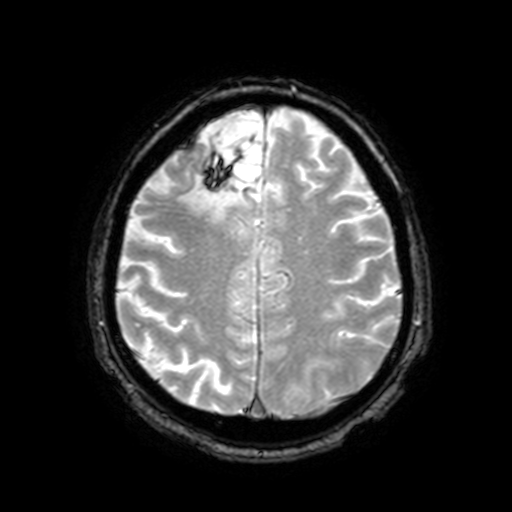
Q: What kind of scan is this?
A: 3 Tesla brain MRI.
Q: Series?
A: T2-weighted fast field echo with SENSE.
Study: ring-enhancing brain masses.